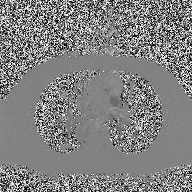
modality: 2D phase-contrast cine MRI of the ascending aorta